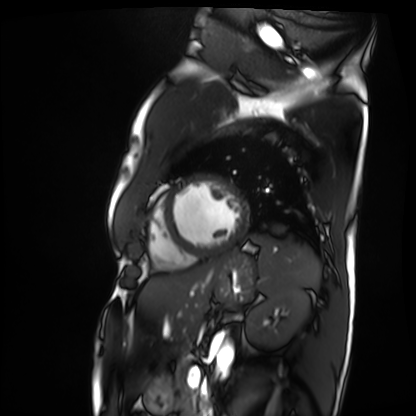
modality — cardiac MRI | subject group — patient.